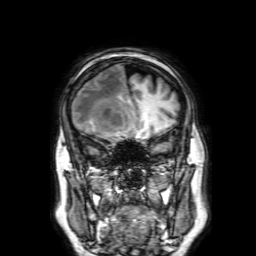
3 Tesla brain MRI. Series: 3D T1-weighted with SENSE. Study: ring-enhancing brain masses.